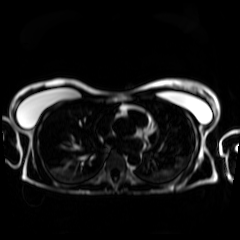
Case:
* modality — chemical-shift-encoded cardiac MRI